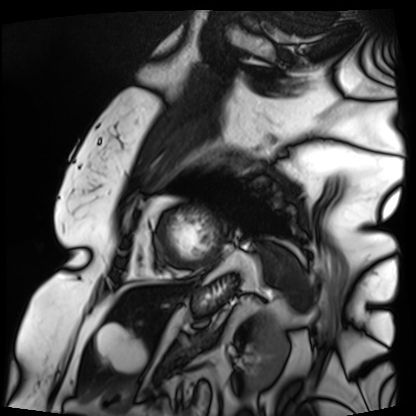
modality=cardiac MRI; subject group=patient.